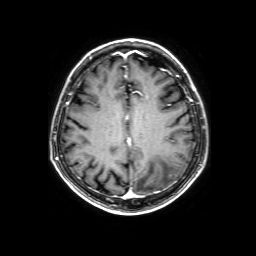
3 Tesla brain MRI.
Series: 3D T1-weighted with SENSE.
Study: ring-enhancing brain masses.